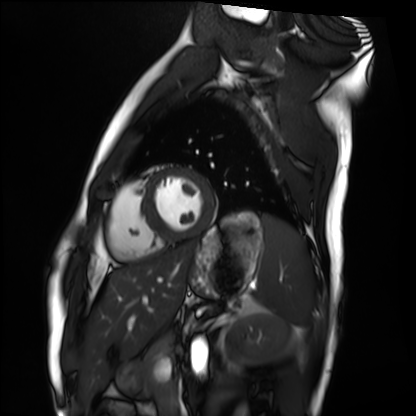
* modality · cardiac MRI
* subject group · healthy volunteer